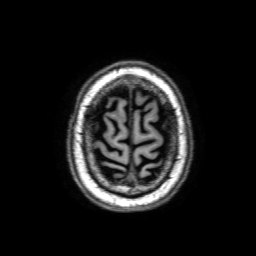
modality — 3 Tesla brain MRI; series — 3D T1-weighted with SENSE; study — ring-enhancing brain masses.